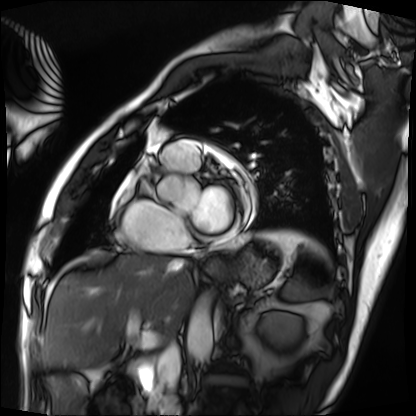
Cardiac MRI. Subject group: patient.